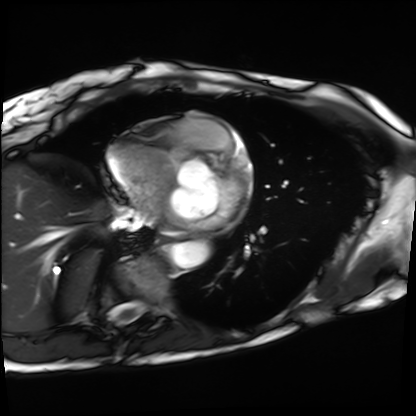
Cardiac MRI.
Subject group: patient.